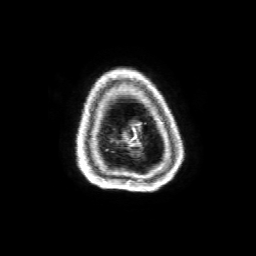
3 Tesla brain MRI. Series: 3D T1-weighted with SENSE. Study: ring-enhancing brain masses.